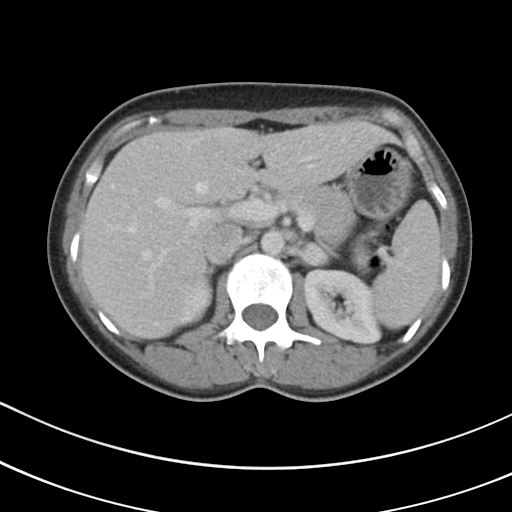
Case:
– modality: multiphase abdominal CT, liver, portal venous phase
– patient: female, age 41